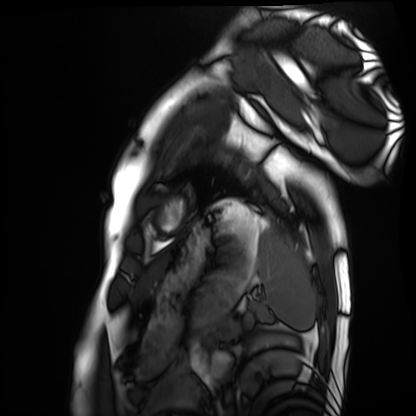
Cardiac MRI. Subject group: healthy volunteer.